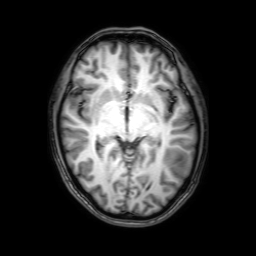
Q: What kind of scan is this?
A: 3 Tesla brain MRI.
Q: Series?
A: 3D T1-weighted with SENSE.
Study: ring-enhancing brain masses.